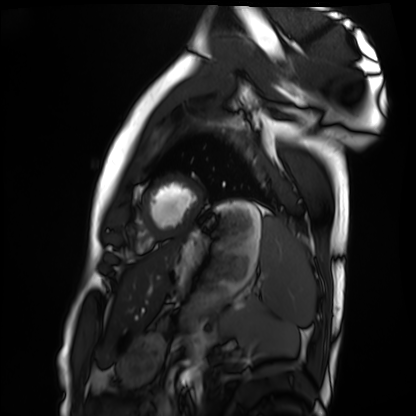
Clinical context: Cardiac MRI. Subject group: healthy volunteer.